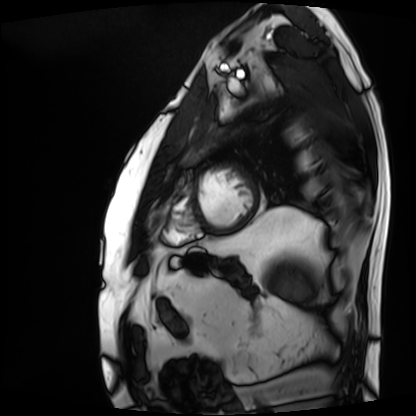
* modality — cardiac MRI
* subject group — patient